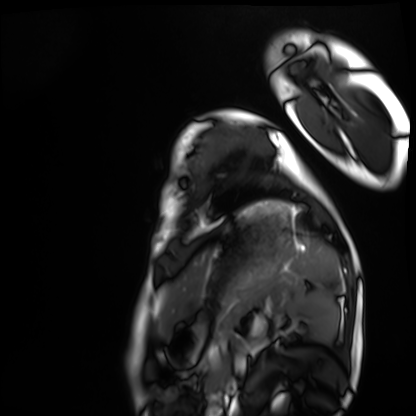
modality: cardiac MRI | subject group: healthy volunteer.